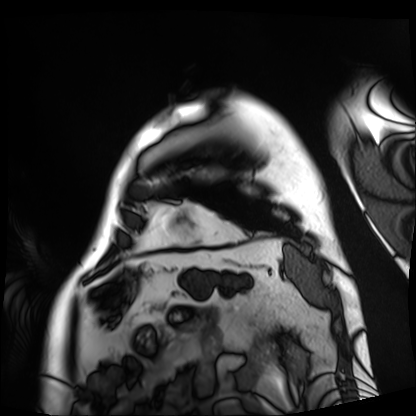
Case summary:
Cardiac MRI. Subject group: patient.